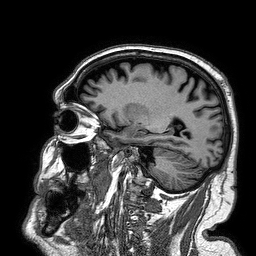
modality = 3 Tesla brain MRI
series = 3D T1-weighted turbo field echo
study = ring-enhancing brain masses